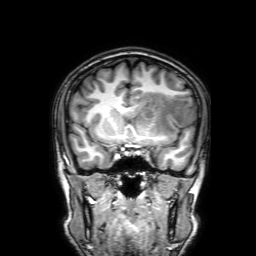
modality = 3 Tesla brain MRI
series = 3D T1-weighted with SENSE
study = ring-enhancing brain masses